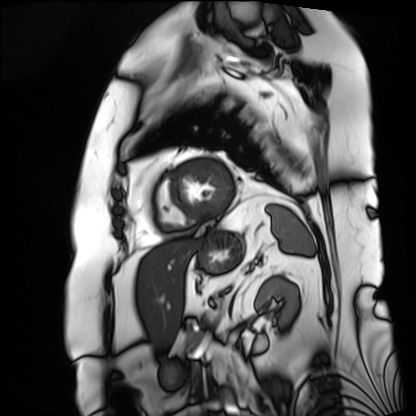
<study>
  <modality>cardiac MRI</modality>
  <cohort>patient</cohort>
</study>